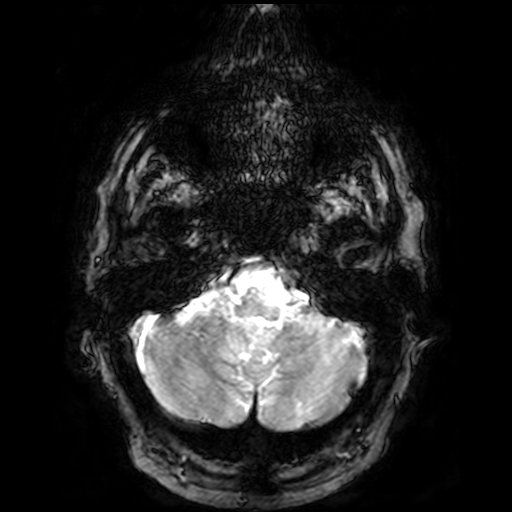
Summary:
3 Tesla brain MRI. Series: T2-weighted fast field echo. Study: ring-enhancing brain masses.